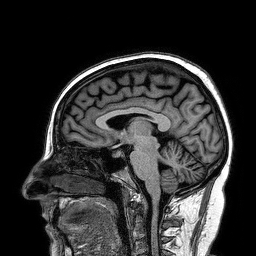
{
  "modality": {
    "type": "brain MRI",
    "field_strength": "3T"
  },
  "series": "3D T1-weighted turbo field echo",
  "study_topic": "ring-enhancing brain masses"
}